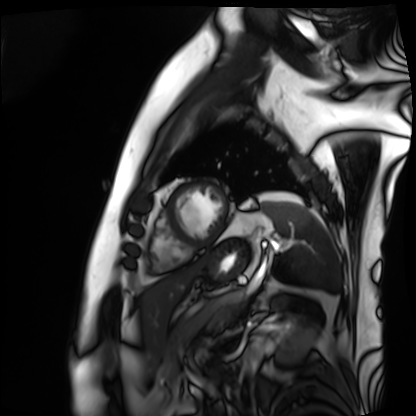
Q: What kind of scan is this?
A: Cardiac MRI.
Subject group: patient.